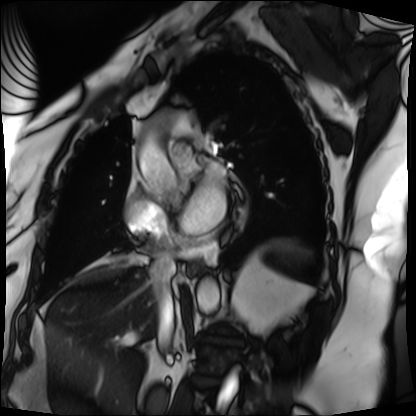
Summary: Cardiac MRI. Subject group: patient.